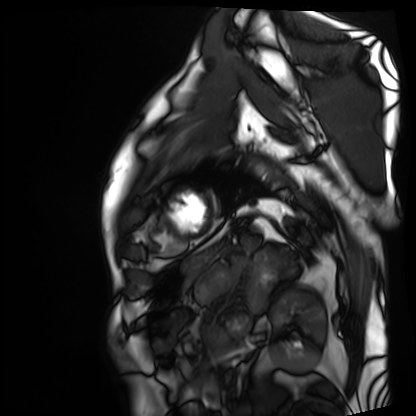
modality — cardiac MRI | subject group — patient.